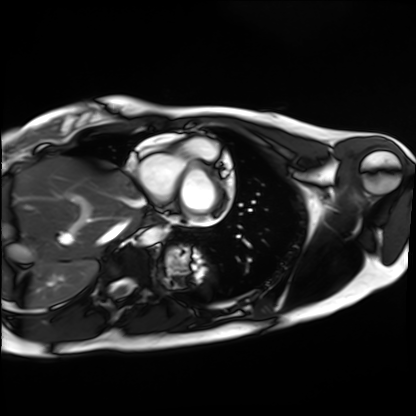
Summary:
Cardiac MRI. Subject group: healthy volunteer.